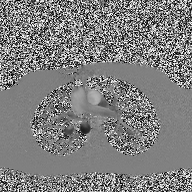
Summary:
2D phase-contrast cine MRI of the ascending aorta, high-resolution GRAPPA acquisition.